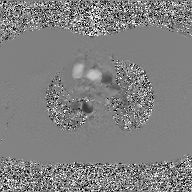
Q: What kind of scan is this?
A: 2D phase-contrast cine MRI of the ascending aorta, GAN super-resolution reconstruction.